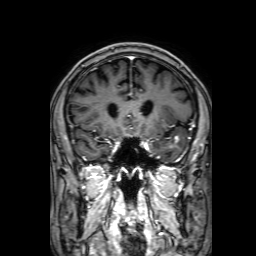
Summary:
3 Tesla brain MRI. Series: 3D T1-weighted with SENSE. Study: ring-enhancing brain masses.